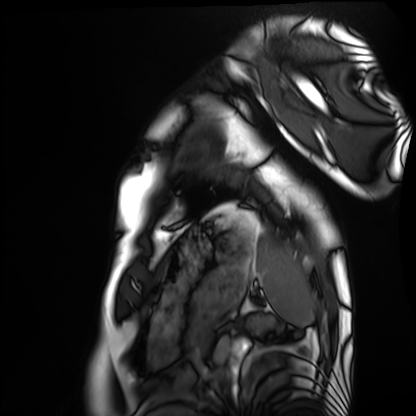
modality: cardiac MRI; subject group: healthy volunteer.